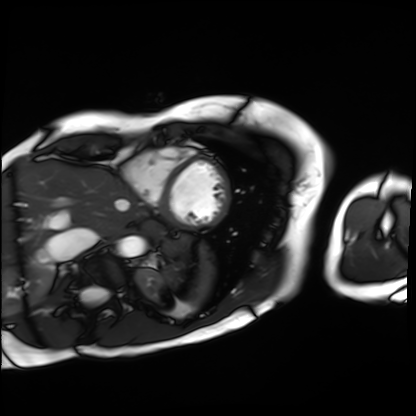
Cardiac MRI. Subject group: patient.